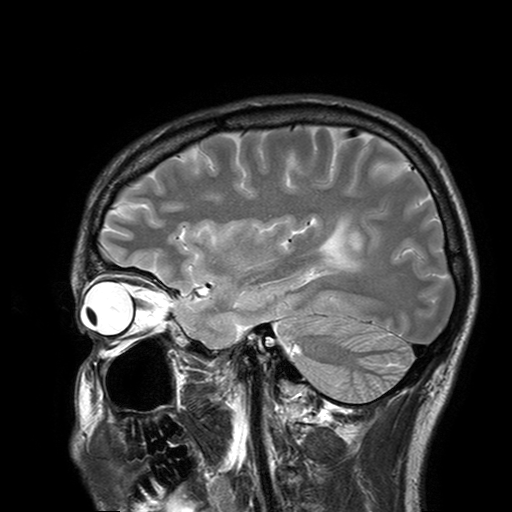
| field | value |
|---|---|
| modality | 3 Tesla brain MRI |
| series | T2-weighted turbo spin echo with SENSE |
| study | ring-enhancing brain masses |